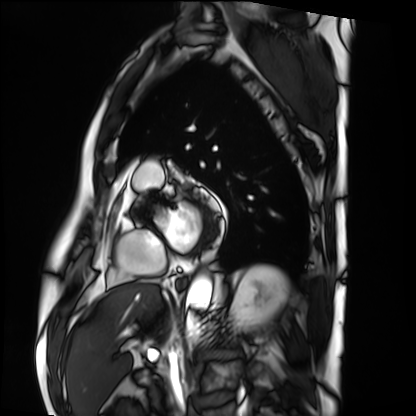
Cardiac MRI.
Subject group: patient.